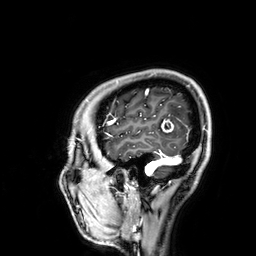
3 Tesla brain MRI. Series: 3D T1-weighted. Study: ring-enhancing brain masses.